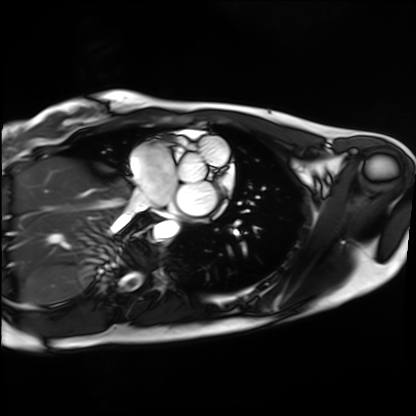
{
  "modality": "cardiac MRI",
  "cohort": "healthy volunteer"
}